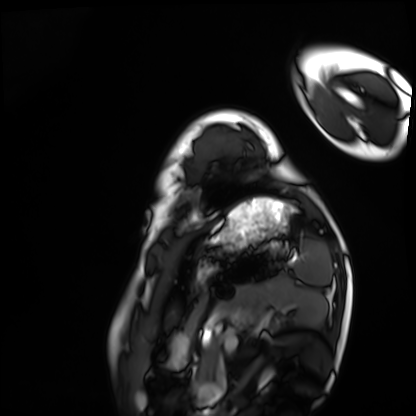
{
  "modality": "cardiac MRI",
  "cohort": "healthy volunteer"
}